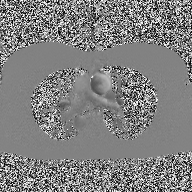
2D phase-contrast cine MRI of the ascending aorta, high-resolution GRAPPA acquisition.